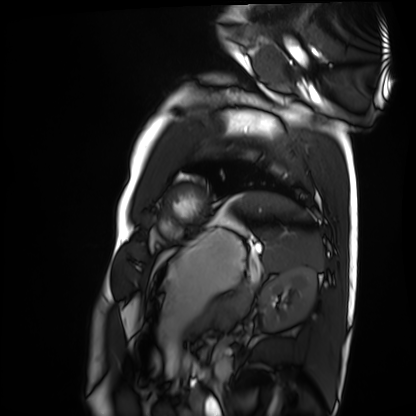
Case summary:
Cardiac MRI. Subject group: healthy volunteer.